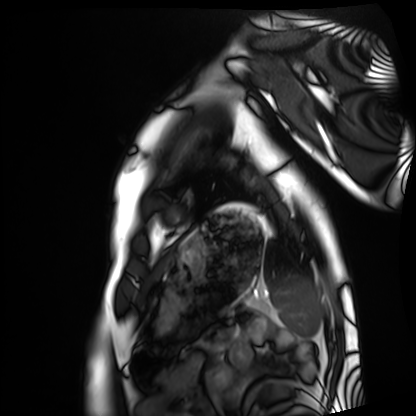
modality = cardiac MRI
subject group = healthy volunteer